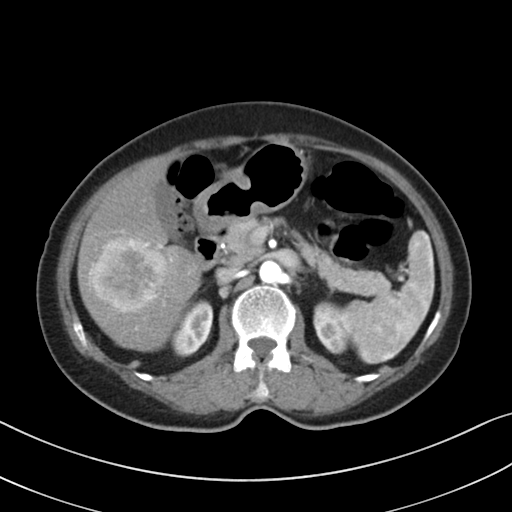
Summary: Multiphase abdominal CT, liver, arterial phase. Patient: female, age 68.